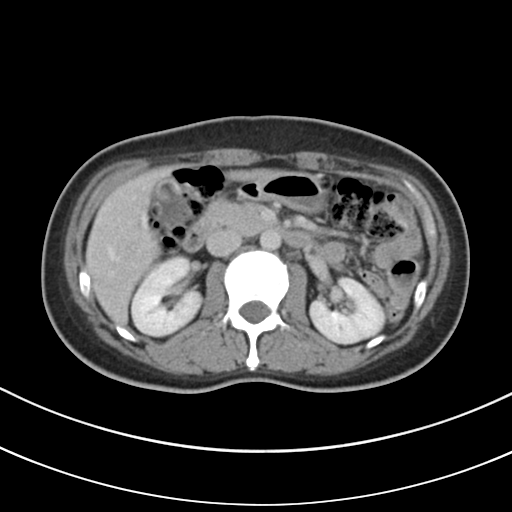
Case:
* modality — multiphase abdominal CT, liver, delayed phase
* patient — female, age 48